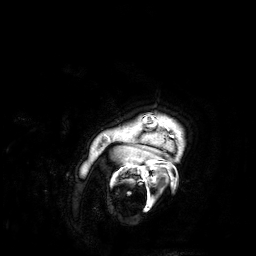
{"modality": {"type": "brain MRI", "field_strength": "3T"}, "series": "3D T1-weighted", "study_topic": "ring-enhancing brain masses"}